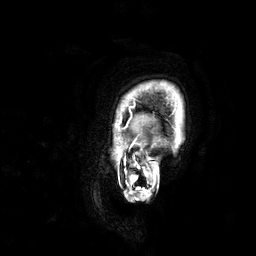
- modality: 3 Tesla brain MRI
- study: ring-enhancing brain masses